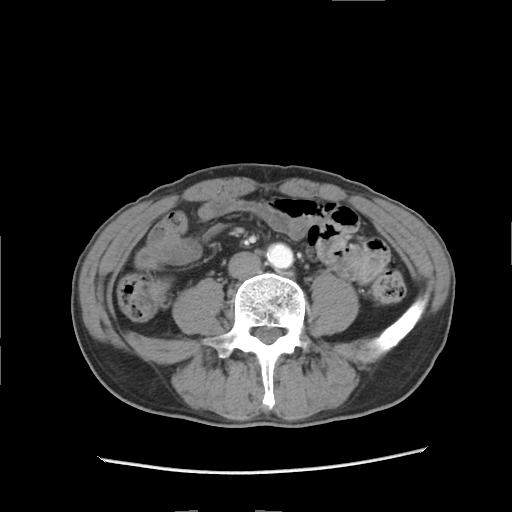
Clinical context:
Multiphase abdominal CT, liver, arterial phase. Patient: male, age 57.